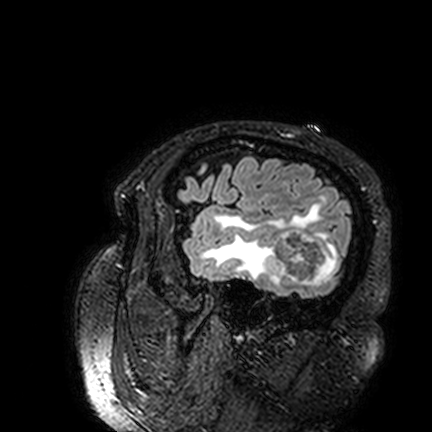
• modality: 3 Tesla brain MRI
• series: FLAIR VISTA
• study: ring-enhancing brain masses